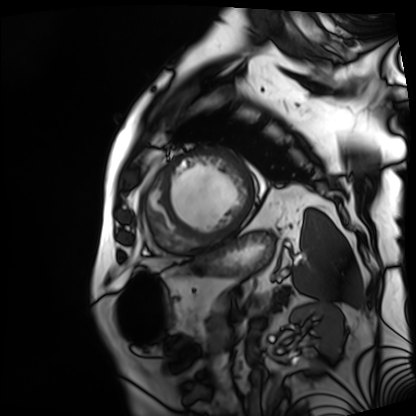
Cardiac MRI. Subject group: patient.